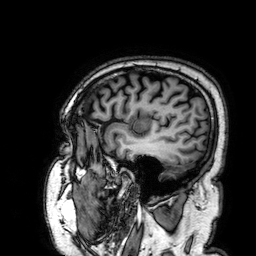
| field | value |
|---|---|
| modality | 3 Tesla brain MRI |
| series | 3D T1-weighted |
| study | ring-enhancing brain masses |